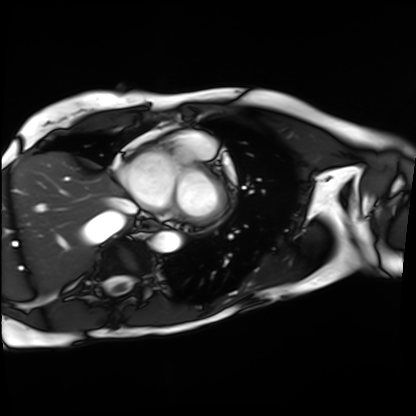
Cardiac MRI. Subject group: patient.